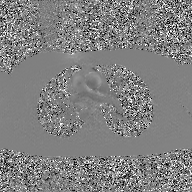
Q: What kind of scan is this?
A: 2D phase-contrast cine MRI of the ascending aorta, GAN super-resolution reconstruction.